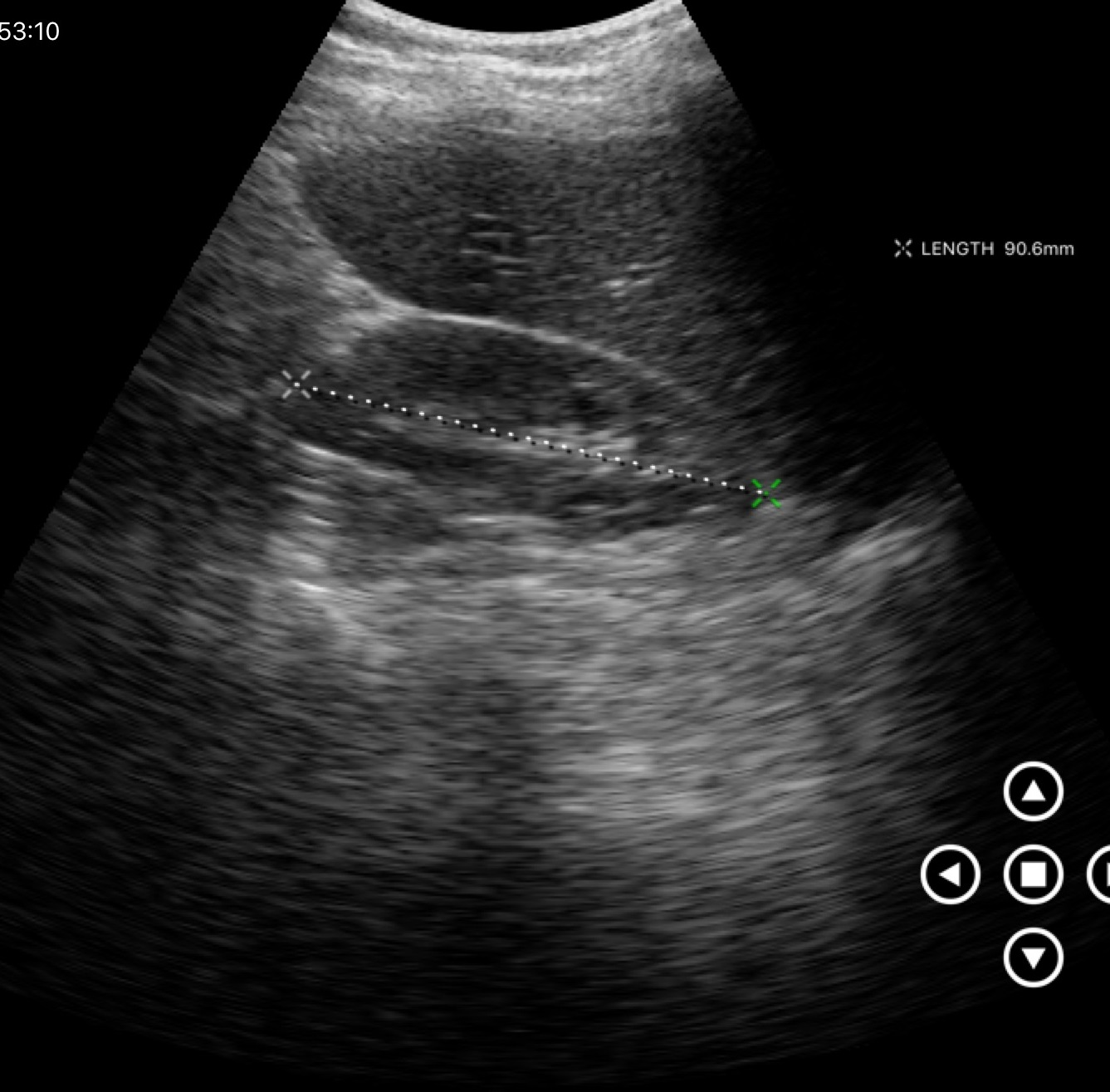
Case summary: Genitourinary ultrasound.